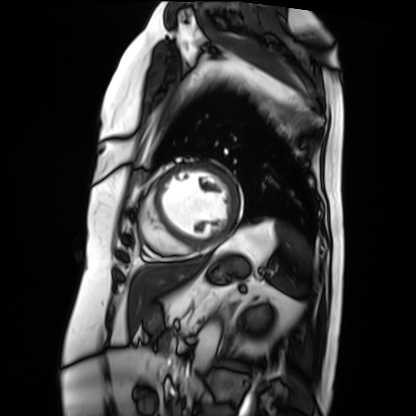
Cardiac MRI. Subject group: patient.